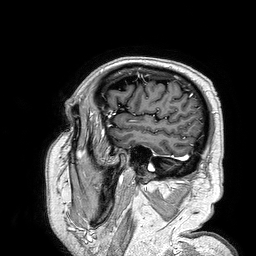
3 Tesla brain MRI. Series: 3D T1-weighted turbo field echo. Study: ring-enhancing brain masses.